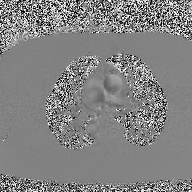
Summary:
2D phase-contrast cine MRI of the ascending aorta, high-resolution GRAPPA acquisition.